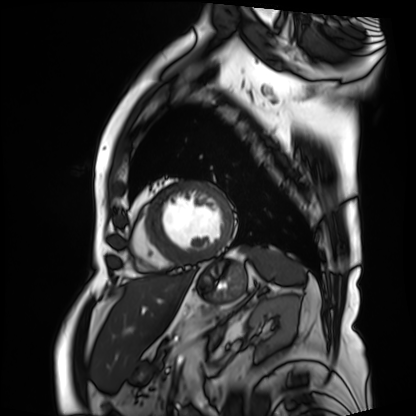
Case:
* modality: cardiac MRI
* subject group: patient